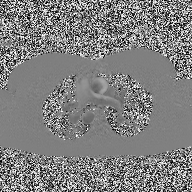
– modality — 2D phase-contrast cine MRI of the ascending aorta